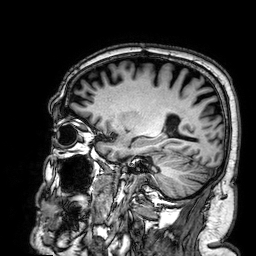
3 Tesla brain MRI. Series: 3D T1-weighted. Study: ring-enhancing brain masses.